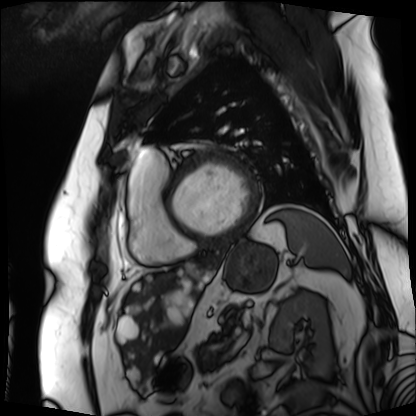
Cardiac MRI.
Subject group: patient.